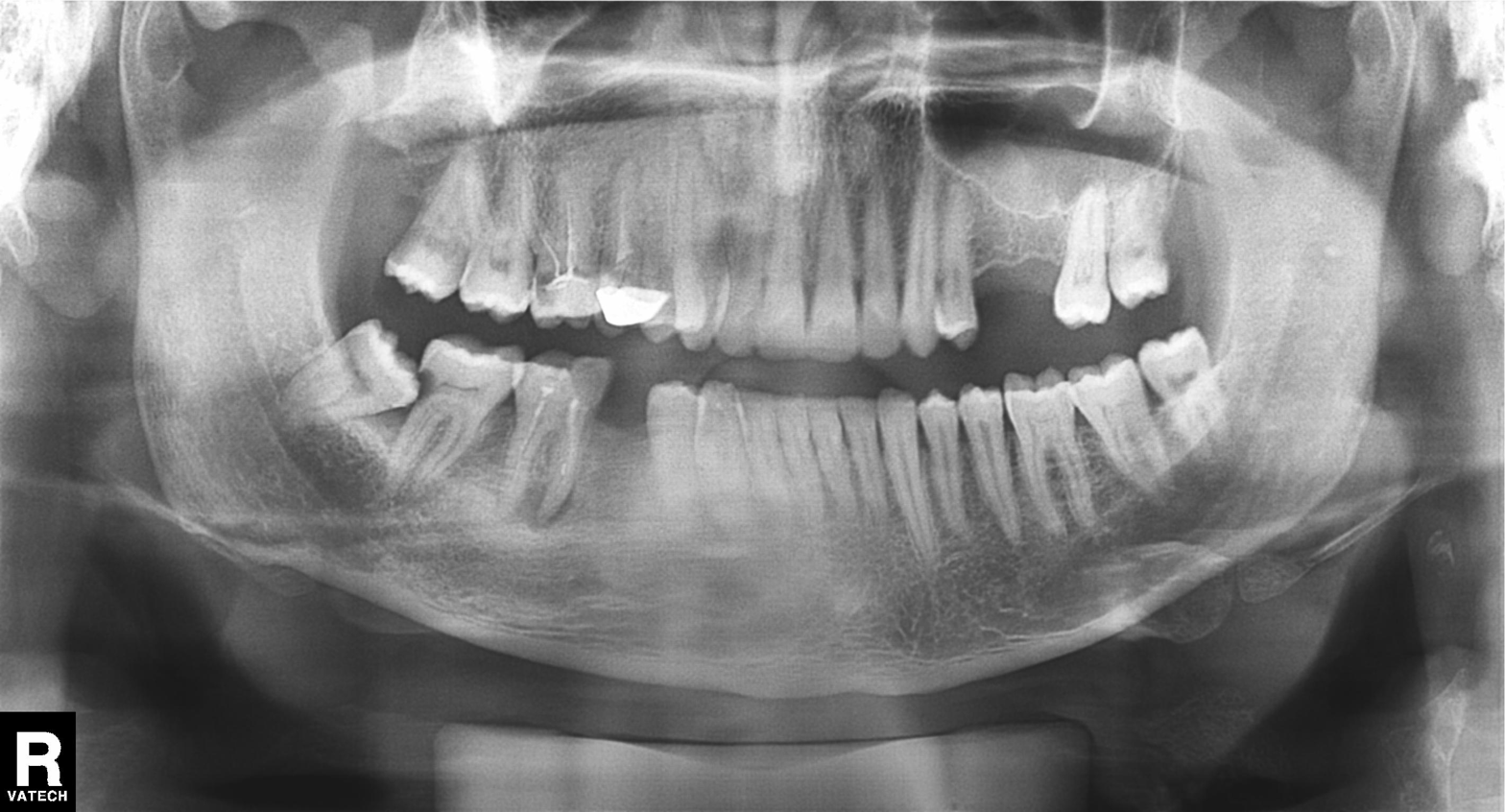
Q: What kind of scan is this?
A: Panoramic dental radiograph (orthopantomogram).
Q: What is the radiographic finding?
A: Tooth impaction.